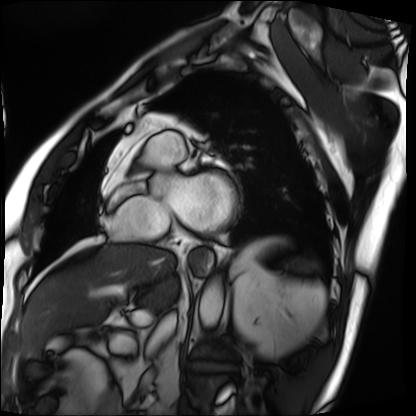
Cardiac MRI. Subject group: patient.